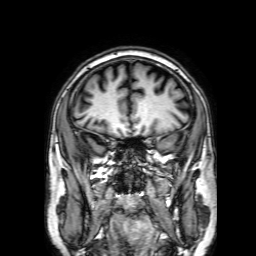
modality=3 Tesla brain MRI | series=3D T1-weighted with SENSE | study=ring-enhancing brain masses.